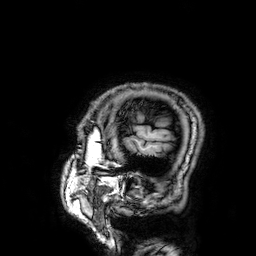
modality: 3 Tesla brain MRI; series: 3D T1-weighted; study: ring-enhancing brain masses.